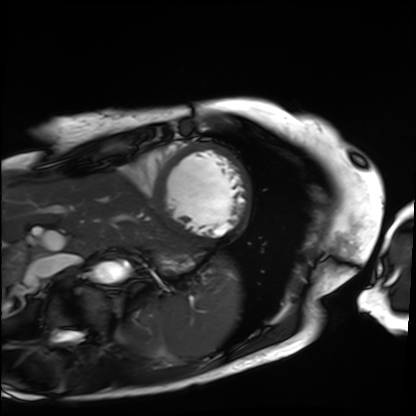
Cardiac MRI. Subject group: patient.